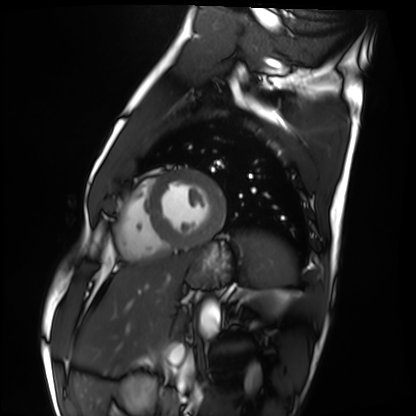
modality: cardiac MRI
cohort: healthy volunteer